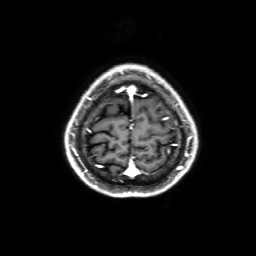
modality = 3 Tesla brain MRI
series = 3D T1-weighted with SENSE
study = ring-enhancing brain masses